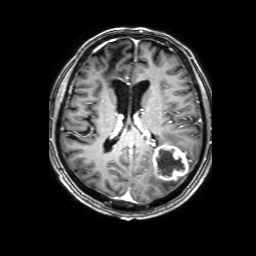
3 Tesla brain MRI.
Series: 3D T1-weighted with SENSE.
Study: ring-enhancing brain masses.